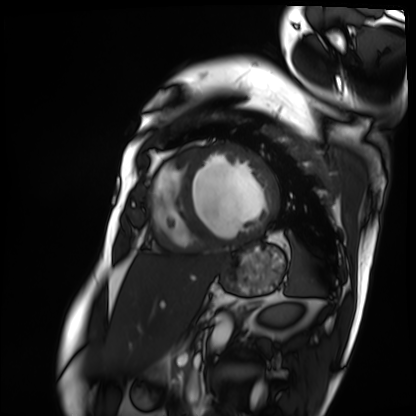
| field | value |
|---|---|
| modality | cardiac MRI |
| subject group | patient |